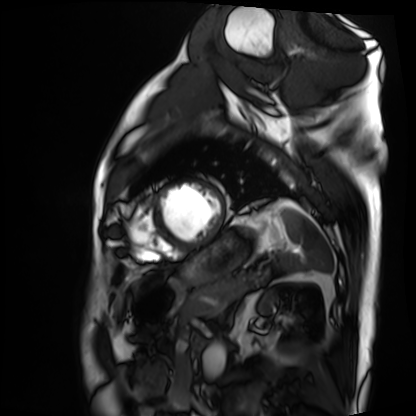
  modality: cardiac MRI
  cohort: patient